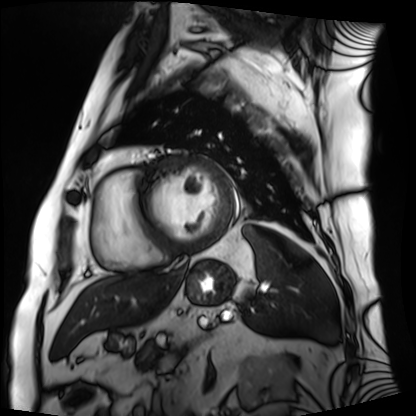
modality = cardiac MRI
subject group = patient